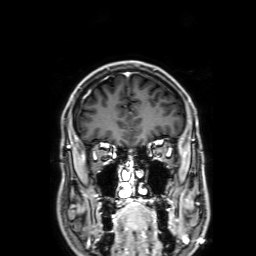
Case:
– modality · 3 Tesla brain MRI
– series · 3D T1-weighted with SENSE
– study · ring-enhancing brain masses